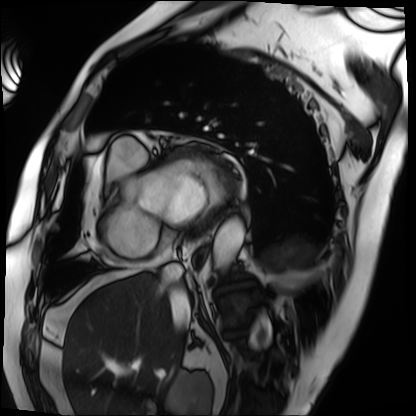
Q: What kind of scan is this?
A: Cardiac MRI.
Subject group: patient.